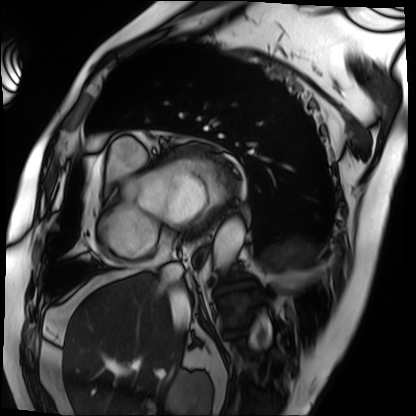
Cardiac MRI.
Subject group: patient.